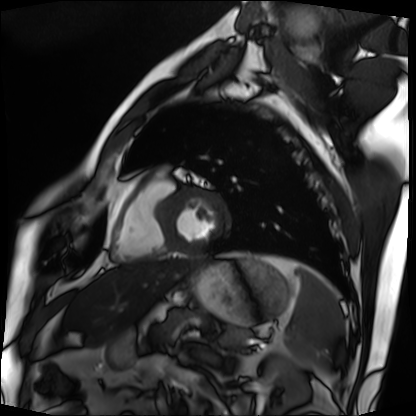
Cardiac MRI.
Subject group: patient.